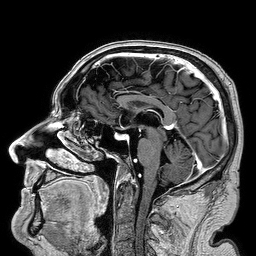
Q: What kind of scan is this?
A: 3 Tesla brain MRI.
Study: ring-enhancing brain masses.